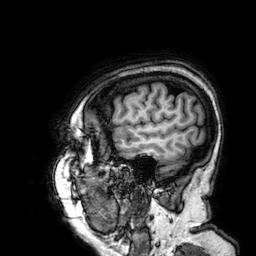
Clinical context:
3 Tesla brain MRI. Series: 3D T1-weighted. Study: ring-enhancing brain masses.